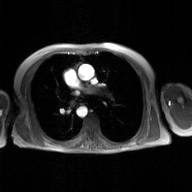
* modality — 2D phase-contrast cine MRI of the ascending aorta, GAN super-resolution reconstruction